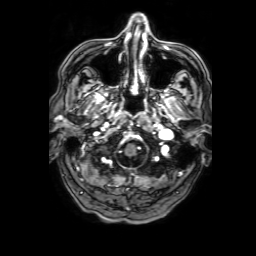
Summary: 3 Tesla brain MRI. Series: 3D T1-weighted with SENSE. Study: ring-enhancing brain masses.